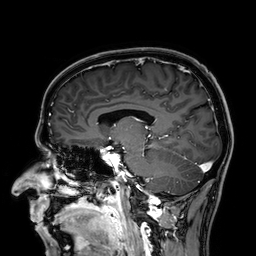
modality — 3 Tesla brain MRI
series — 3D T1-weighted
study — ring-enhancing brain masses